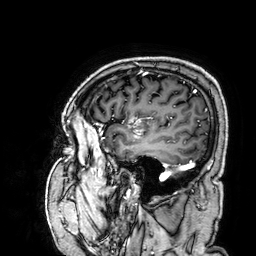
3 Tesla brain MRI. Series: 3D T1-weighted. Study: ring-enhancing brain masses.